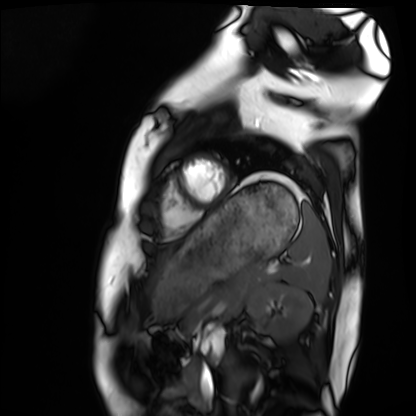
{
  "modality": "cardiac MRI",
  "cohort": "healthy volunteer"
}